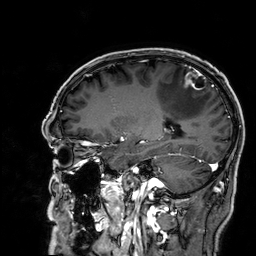
| field | value |
|---|---|
| modality | 3 Tesla brain MRI |
| series | 3D T1-weighted |
| study | ring-enhancing brain masses |